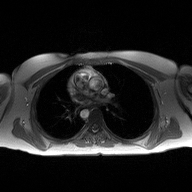
| field | value |
|---|---|
| modality | 2D phase-contrast cine MRI of the ascending aorta |